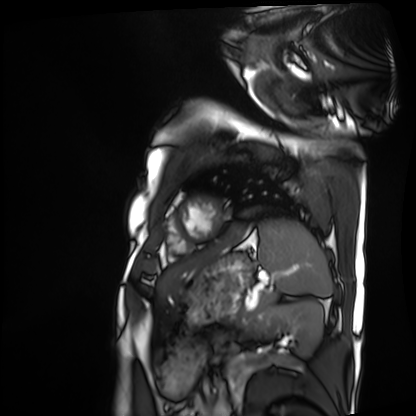
Q: What kind of scan is this?
A: Cardiac MRI.
Subject group: patient.